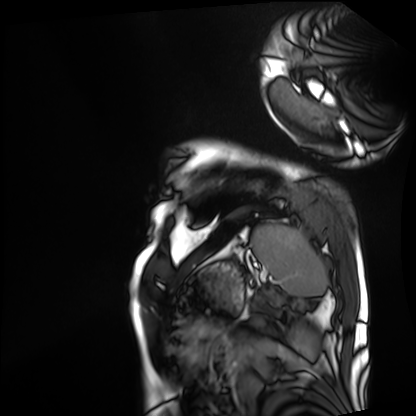
<record>
  <modality>cardiac MRI</modality>
  <cohort>patient</cohort>
</record>